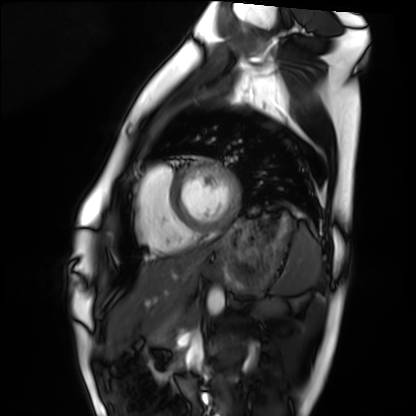
Summary: Cardiac MRI. Subject group: healthy volunteer.